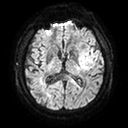
Case summary: 3 Tesla brain MRI. Series: diffusion tensor imaging (medium iso). Study: ring-enhancing brain masses.